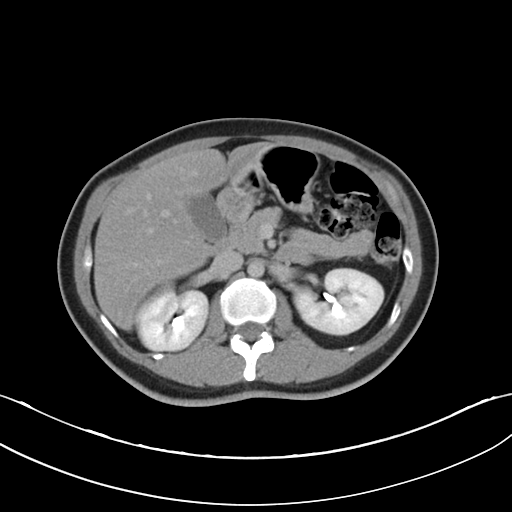
Multiphase abdominal CT, liver, delayed phase.
Patient: female, age 37.